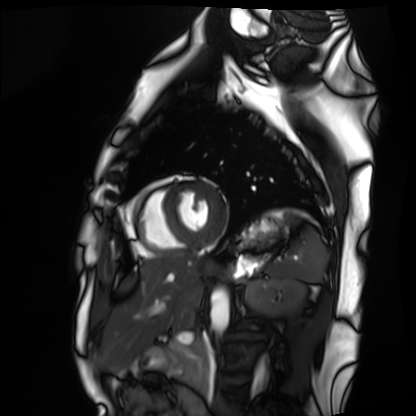
modality: cardiac MRI
subject group: healthy volunteer